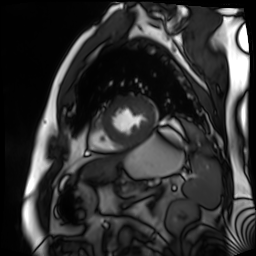
| field | value |
|---|---|
| modality | cardiac MR image of the myocardium |
| subject cohort | cardiac patient |